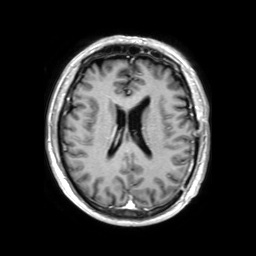
3 Tesla brain MRI. Series: 3D T1-weighted TFE with SENSE. Study: ring-enhancing brain masses.